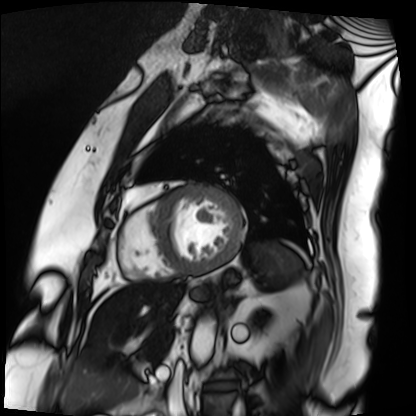
Cardiac MRI. Subject group: patient.